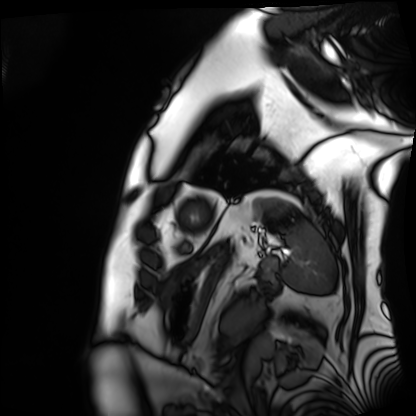
modality — cardiac MRI; subject group — patient.